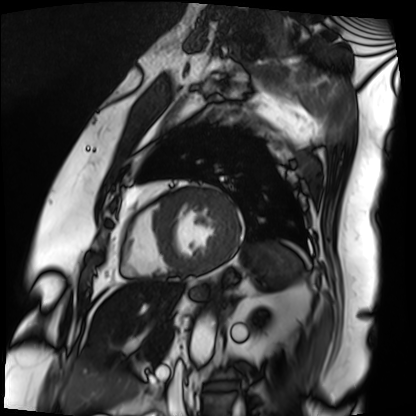
Summary:
Cardiac MRI. Subject group: patient.